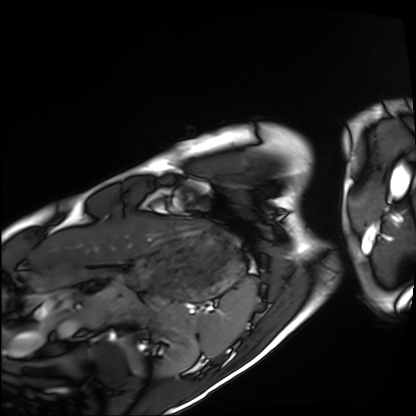
Cardiac MRI. Subject group: healthy volunteer.